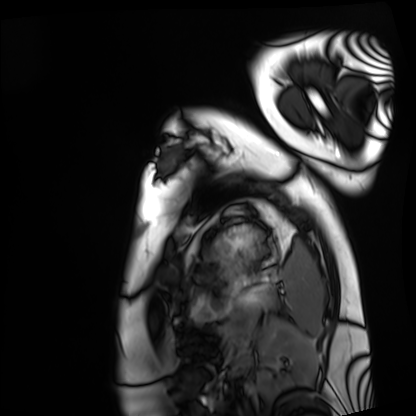
• modality — cardiac MRI
• subject group — healthy volunteer